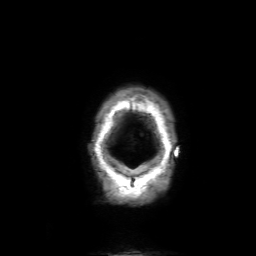
  modality:
    type: brain MRI
    field_strength: 3T
  study_topic: ring-enhancing brain masses